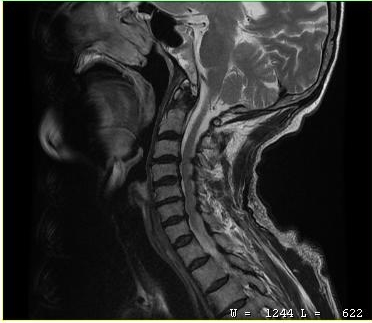
modality = MRI of the cervical spine | study = cervical spondylosis.